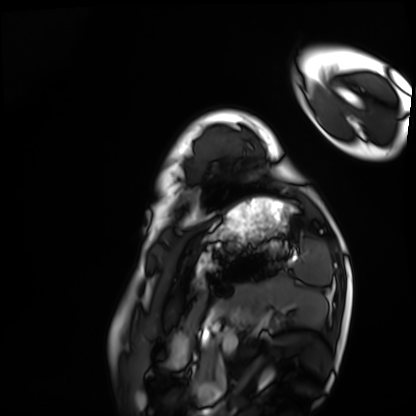
modality: cardiac MRI
subject group: healthy volunteer